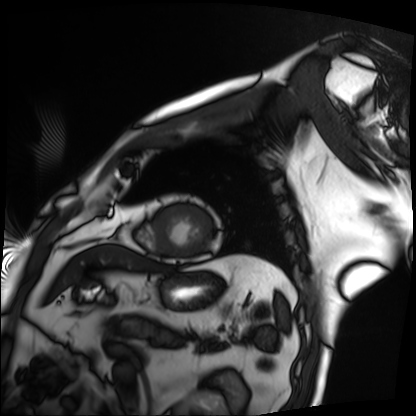
Summary: Cardiac MRI. Subject group: patient.